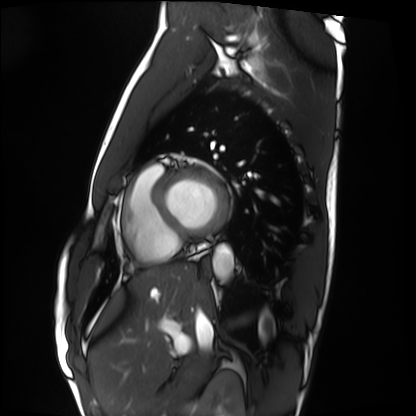
Cardiac MRI. Subject group: healthy volunteer.